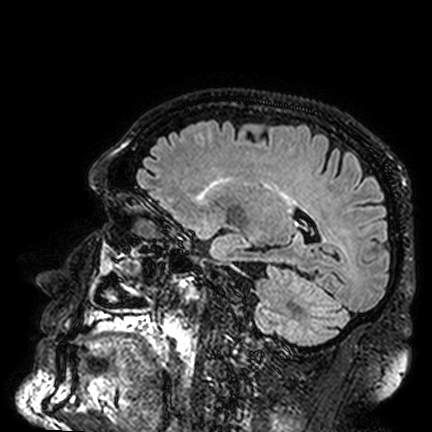
modality: 3 Tesla brain MRI
series: FLAIR VISTA
study: ring-enhancing brain masses